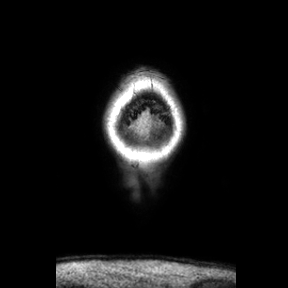
3 Tesla brain MRI.
Series: coronal.
Study: ring-enhancing brain masses.